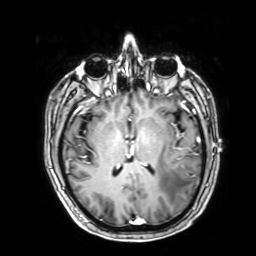
3 Tesla brain MRI.
Series: 3D T1-weighted with SENSE.
Study: ring-enhancing brain masses.